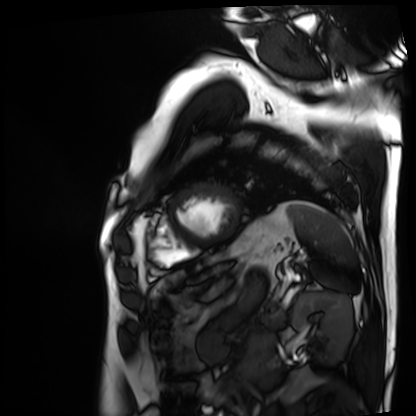
Q: What kind of scan is this?
A: Cardiac MRI.
Subject group: patient.